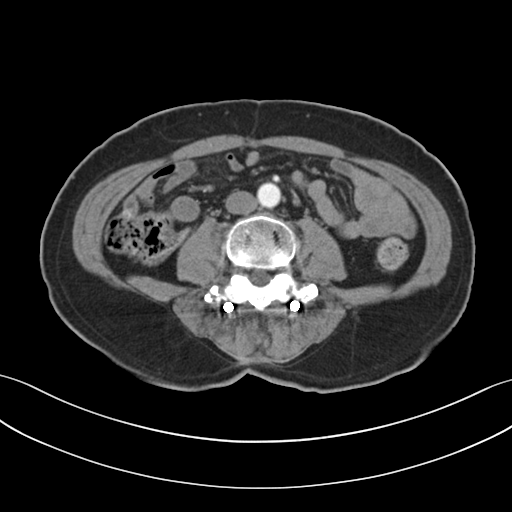
Q: What kind of scan is this?
A: Multiphase abdominal CT, liver, arterial phase.
Q: Patient?
A: Male, age 65.
Q: History?
A: Prior chemotherapy.